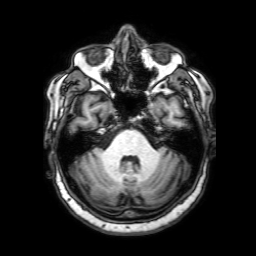
Case:
– modality · 3 Tesla brain MRI
– series · 3D T1-weighted with SENSE
– study · ring-enhancing brain masses